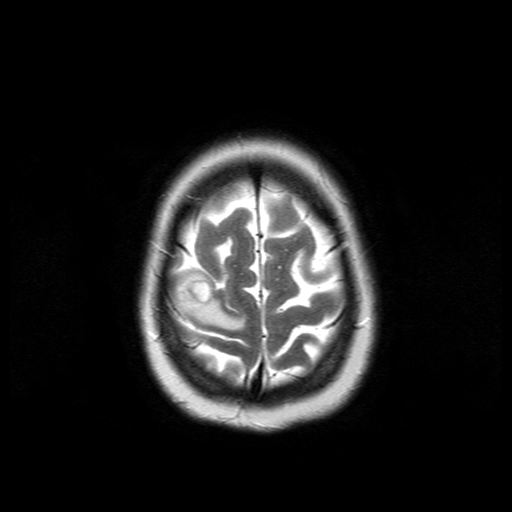
| field | value |
|---|---|
| modality | 3 Tesla brain MRI |
| study | ring-enhancing brain masses |